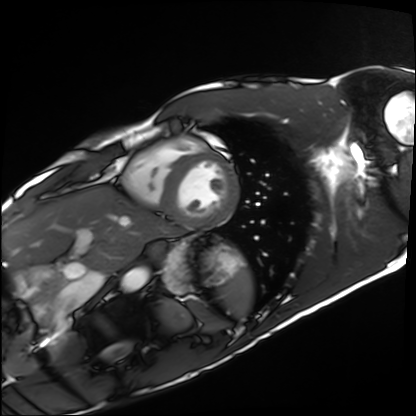
Cardiac MRI. Subject group: healthy volunteer.